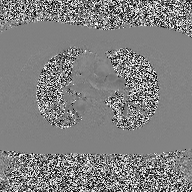
Clinical context:
2D phase-contrast cine MRI of the ascending aorta, high-resolution GRAPPA acquisition.